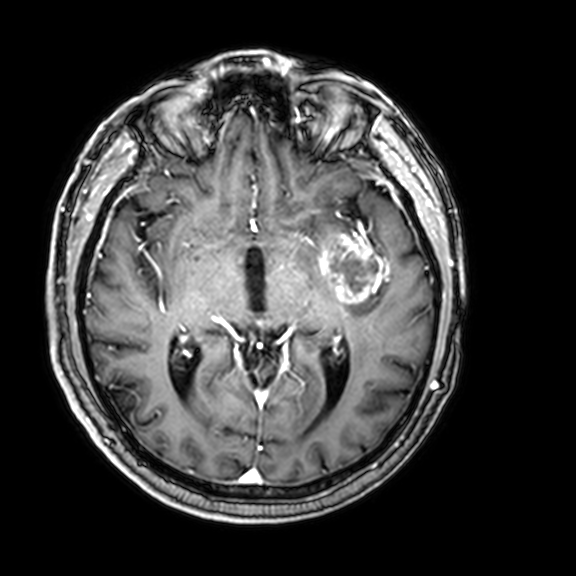
{"modality": {"type": "brain MRI", "field_strength": "3T"}, "series": "3D T1-weighted with CLEAR", "study_topic": "ring-enhancing brain masses"}